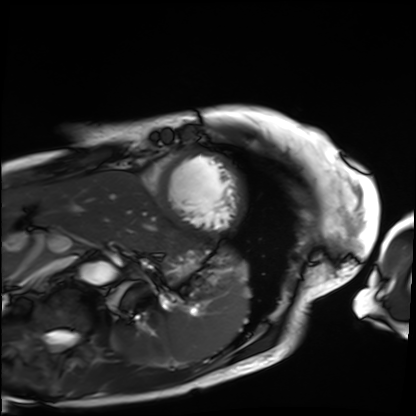
Cardiac MRI. Subject group: patient.